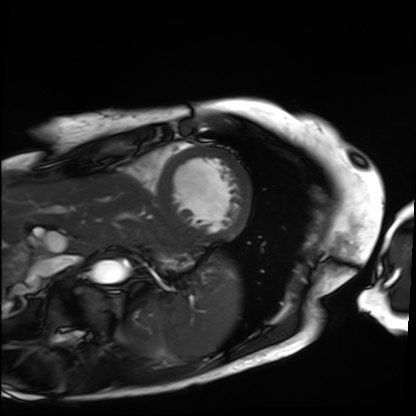
Case summary:
Cardiac MRI. Subject group: patient.